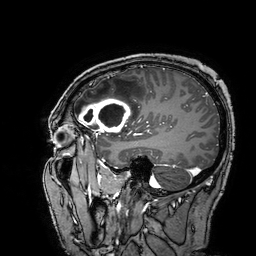
modality: 3 Tesla brain MRI | series: 3D T1-weighted turbo field echo with SENSE | study: ring-enhancing brain masses.